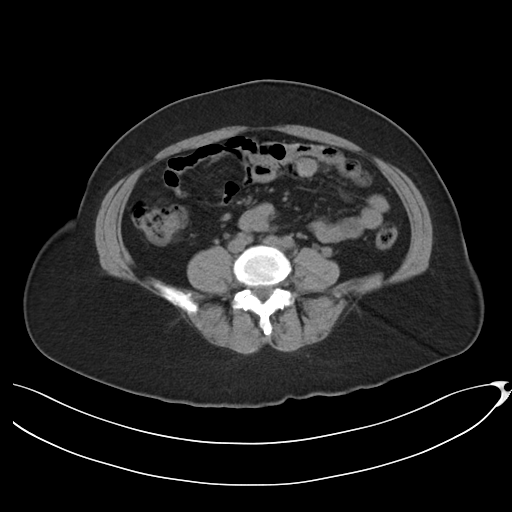
Case summary: Multiphase abdominal CT, liver, non-contrast phase. Patient: female, age 52. History: prior chemotherapy.